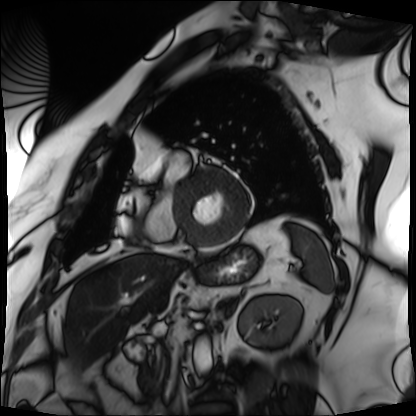
Cardiac MRI.
Subject group: patient.